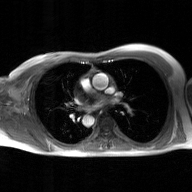
2D phase-contrast cine MRI of the ascending aorta, GAN super-resolution reconstruction.